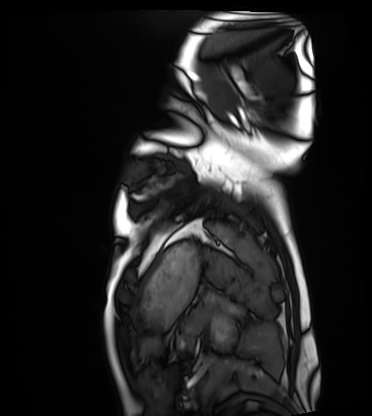
<record>
  <modality>cardiac MRI</modality>
  <cohort>healthy volunteer</cohort>
</record>